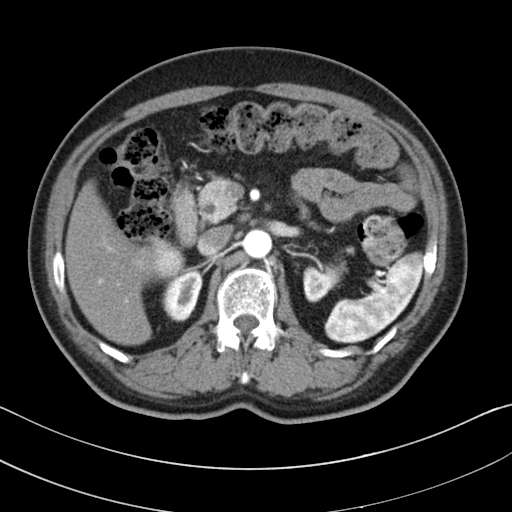
Case summary:
Multiphase abdominal CT, liver, arterial phase.